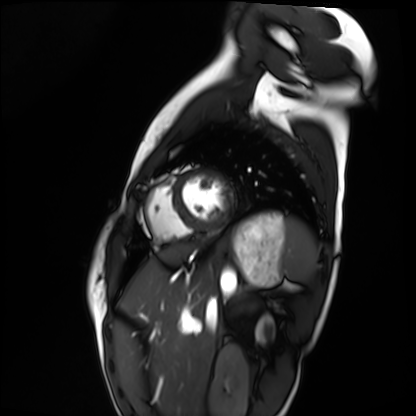
Case:
* modality · cardiac MRI
* subject group · healthy volunteer